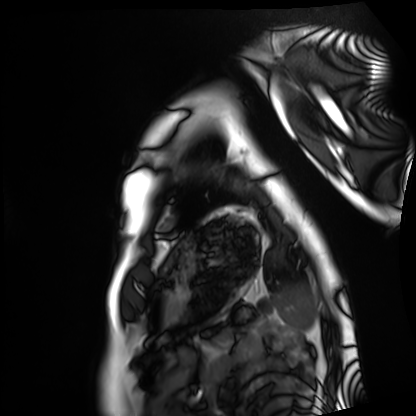
{"modality": "cardiac MRI", "cohort": "healthy volunteer"}